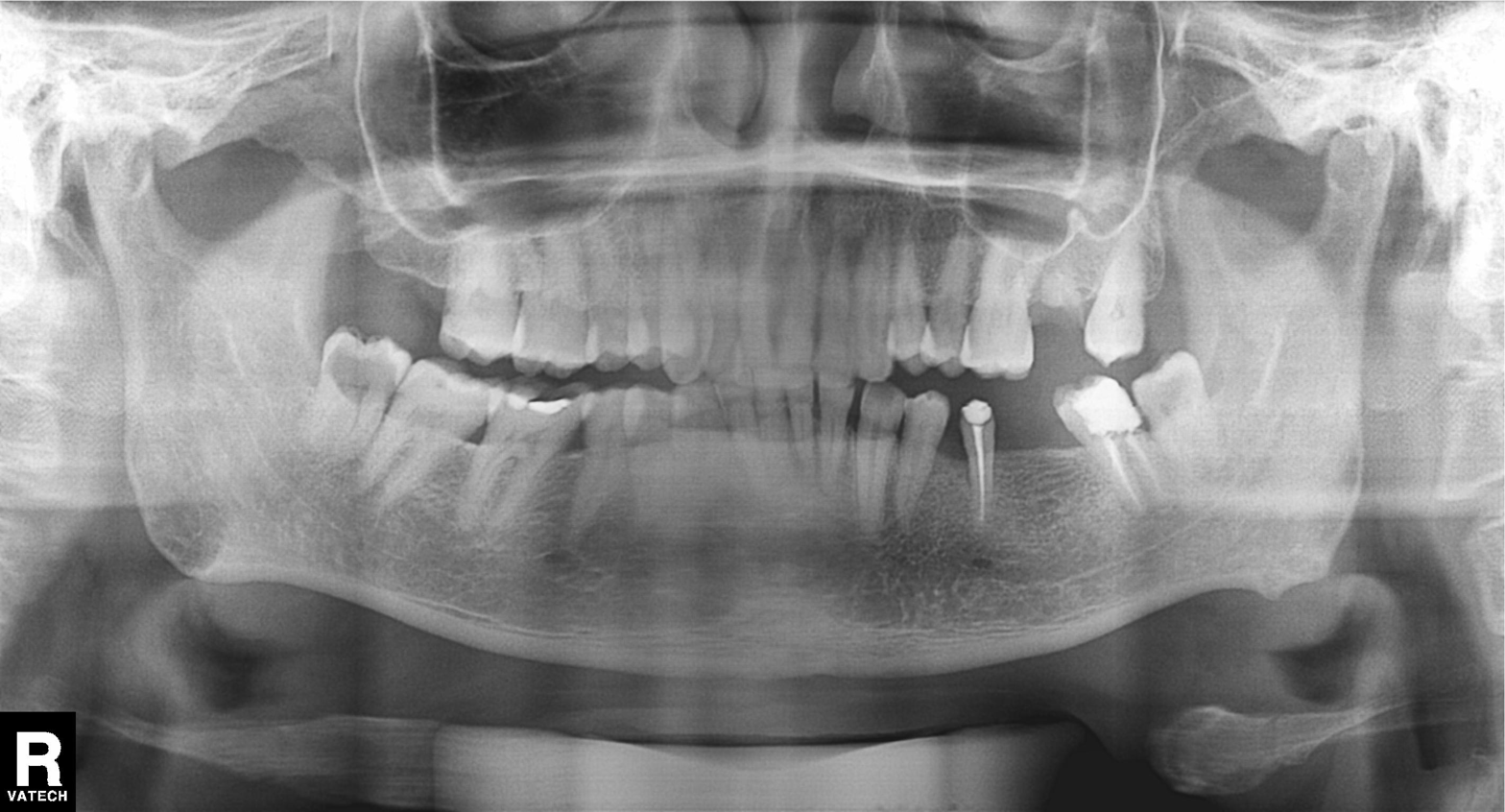
Panoramic dental radiograph (orthopantomogram). Finding: tooth impaction.